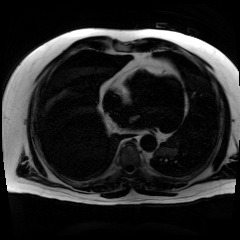
Chemical-shift-encoded cardiac MRI.